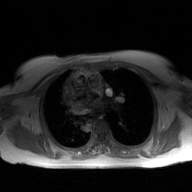
{
  "modality": {
    "type": "2D phase-contrast cine MRI",
    "region": "ascending aorta",
    "reconstruction": "GAN super-resolution reconstruction"
  }
}